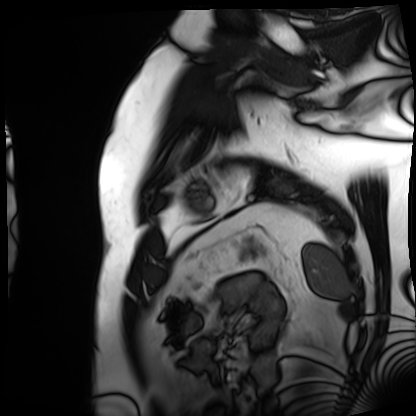
Cardiac MRI. Subject group: patient.